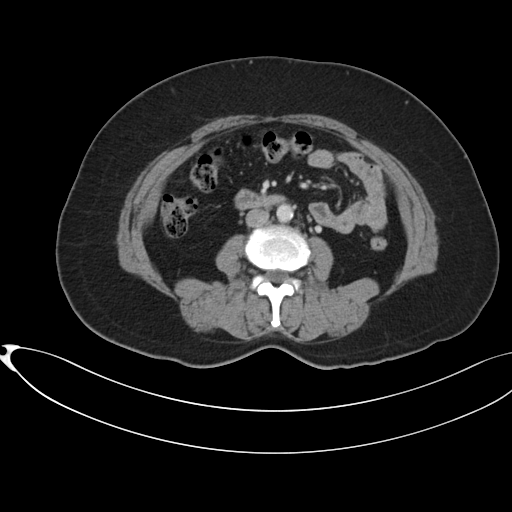
Multiphase abdominal CT, liver, portal venous phase.
Patient: female, age 54.